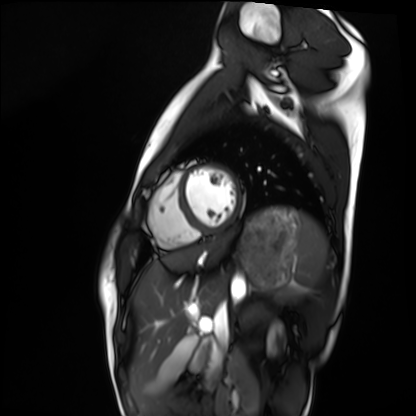
{
  "modality": "cardiac MRI",
  "cohort": "healthy volunteer"
}